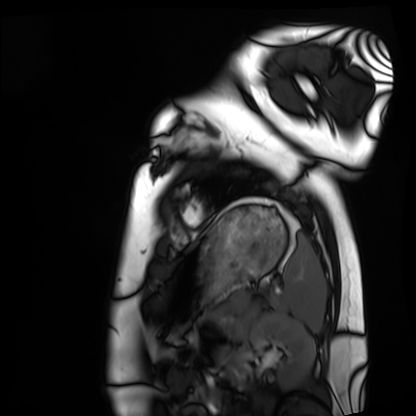
| field | value |
|---|---|
| modality | cardiac MRI |
| subject group | healthy volunteer |